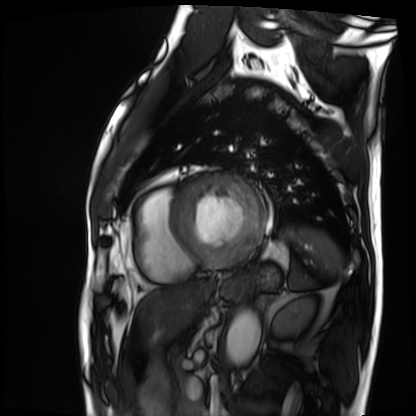
| field | value |
|---|---|
| modality | cardiac MRI |
| subject group | patient |